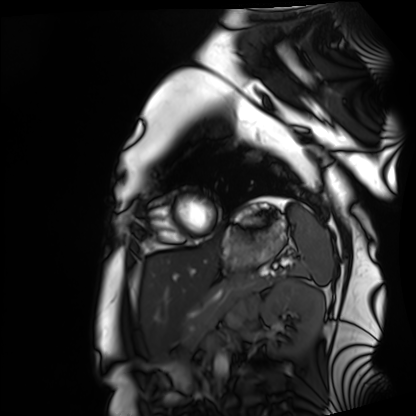
modality: cardiac MRI
subject group: healthy volunteer